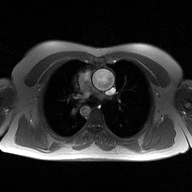
  modality:
    type: 2D phase-contrast cine MRI
    region: ascending aorta
    reconstruction: high-resolution GRAPPA acquisition